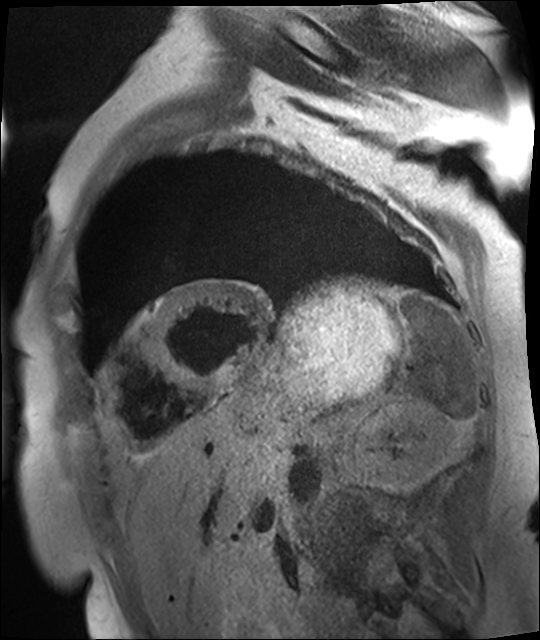
Cardiac MR image of the myocardium. Subject cohort: cardiac patient.